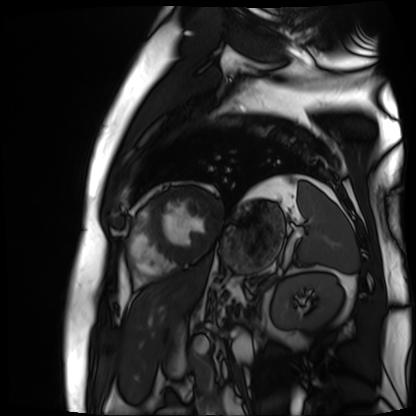
Cardiac MR image of the myocardium. Subject cohort: cardiac patient.